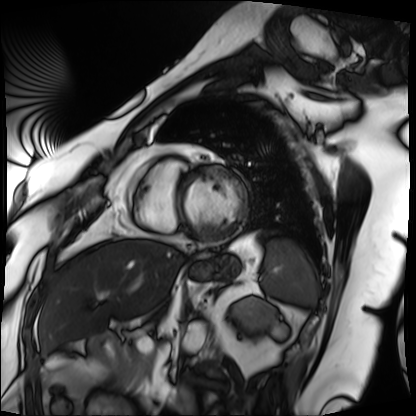
Case summary:
Cardiac MRI. Subject group: patient.